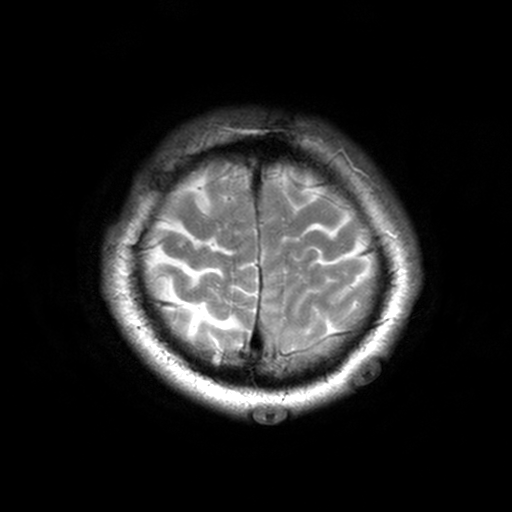
Clinical context: 3 Tesla brain MRI. Series: T2-weighted turbo spin echo, 3 mm. Study: ring-enhancing brain masses.